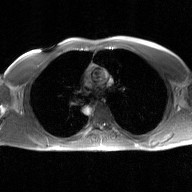
<study>
  <modality>
    <type>2D phase-contrast cine MRI</type>
    <region>ascending aorta</region>
    <reconstruction>GAN super-resolution reconstruction</reconstruction>
  </modality>
</study>